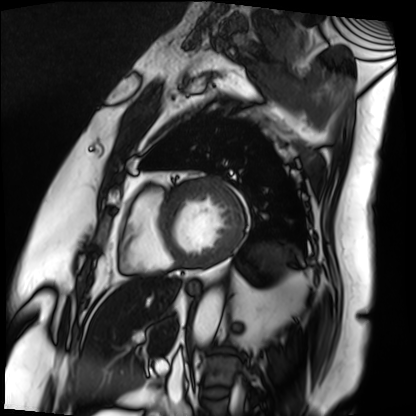
Cardiac MRI.
Subject group: patient.